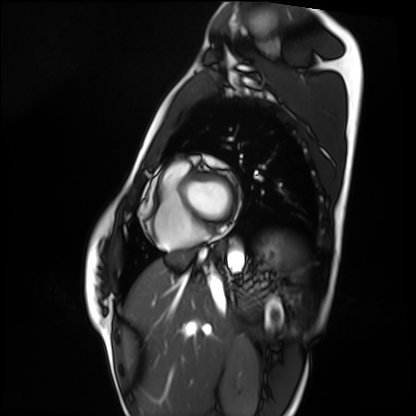
modality: cardiac MRI | subject group: healthy volunteer.